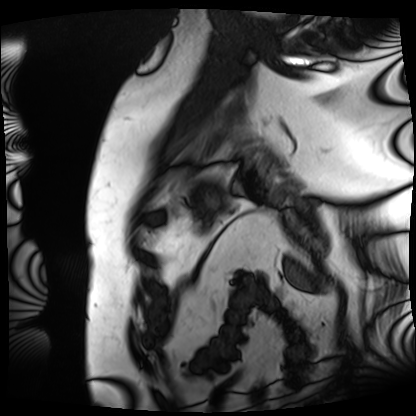
modality = cardiac MRI | subject group = patient.